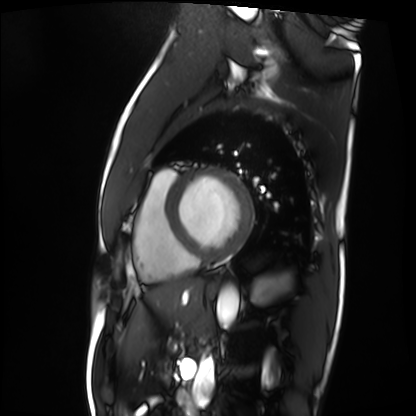
Cardiac MRI.
Subject group: patient.